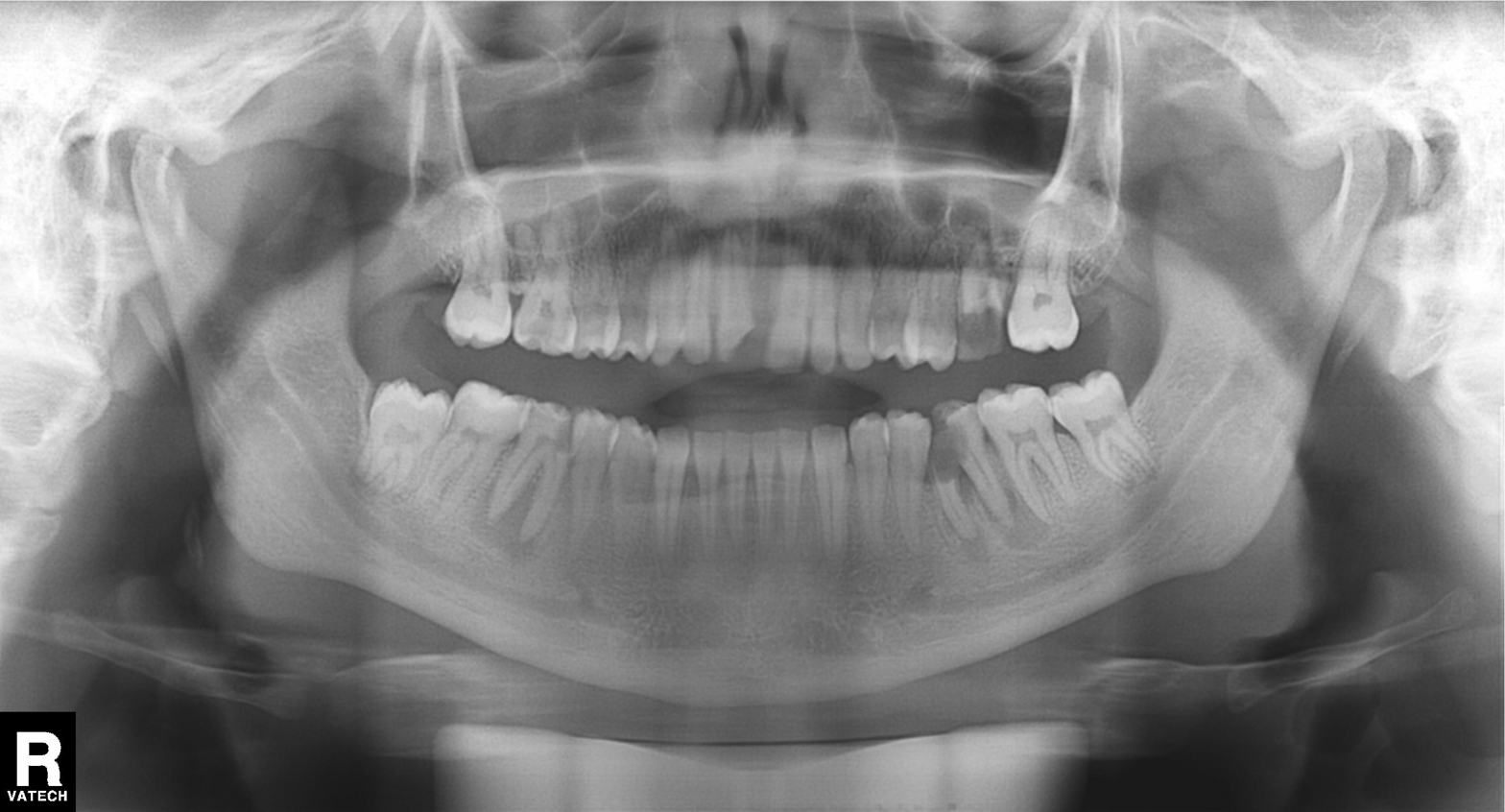
modality=panoramic dental radiograph (orthopantomogram)
finding=dental caries (cavities)